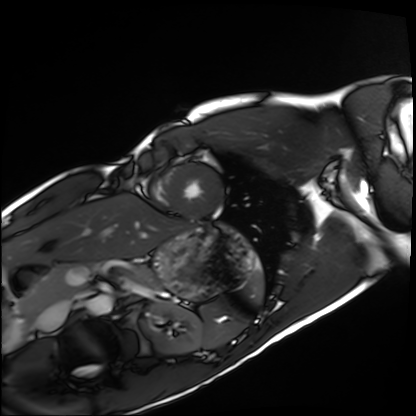
Q: What kind of scan is this?
A: Cardiac MRI.
Subject group: healthy volunteer.